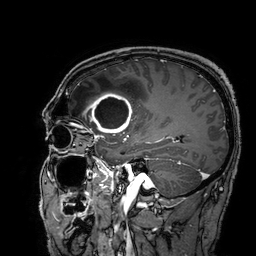
modality: 3 Tesla brain MRI | series: 3D T1-weighted turbo field echo with SENSE | study: ring-enhancing brain masses.